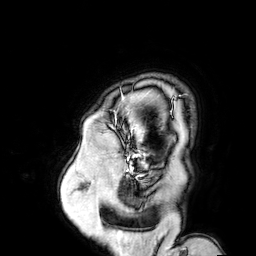
modality = 3 Tesla brain MRI; series = 3D T1-weighted turbo field echo with SENSE; study = ring-enhancing brain masses.